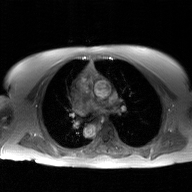
Summary:
2D phase-contrast cine MRI of the ascending aorta, GAN super-resolution reconstruction.